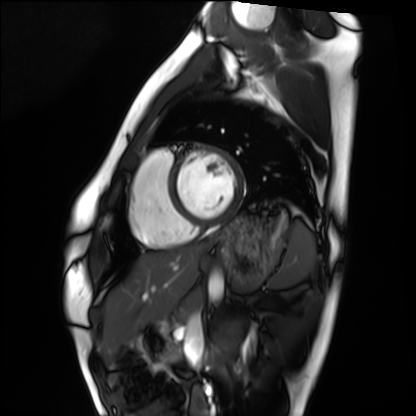
<scan>
  <modality>cardiac MRI</modality>
  <cohort>healthy volunteer</cohort>
</scan>